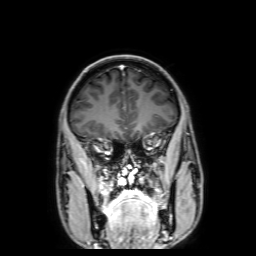
3 Tesla brain MRI. Series: 3D T1-weighted with SENSE. Study: ring-enhancing brain masses.